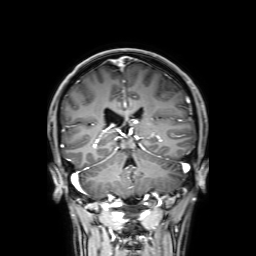
3 Tesla brain MRI.
Series: 3D T1-weighted with SENSE.
Study: ring-enhancing brain masses.